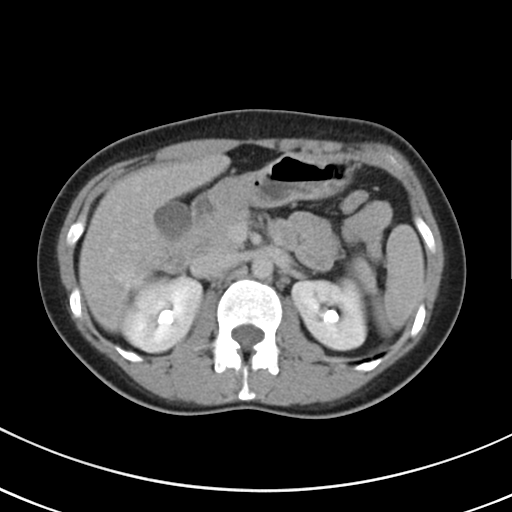
Summary:
Multiphase abdominal CT, liver, delayed phase. Patient: female, age 44.